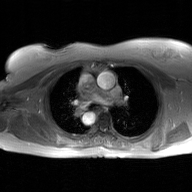
Case summary: 2D phase-contrast cine MRI of the ascending aorta, GAN super-resolution reconstruction.